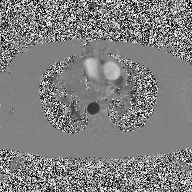
{
  "modality": {
    "type": "2D phase-contrast cine MRI",
    "region": "ascending aorta",
    "reconstruction": "high-resolution GRAPPA acquisition"
  }
}